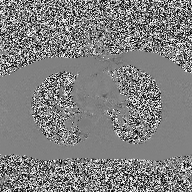
modality = 2D phase-contrast cine MRI of the ascending aorta.